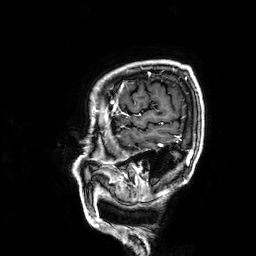
– modality: 3 Tesla brain MRI
– series: 3D T1-weighted
– study: ring-enhancing brain masses